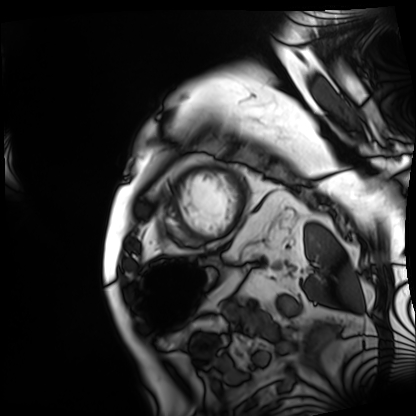
Case:
- modality · cardiac MRI
- subject group · patient